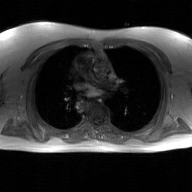
Q: What kind of scan is this?
A: 2D phase-contrast cine MRI of the ascending aorta, GAN super-resolution reconstruction.